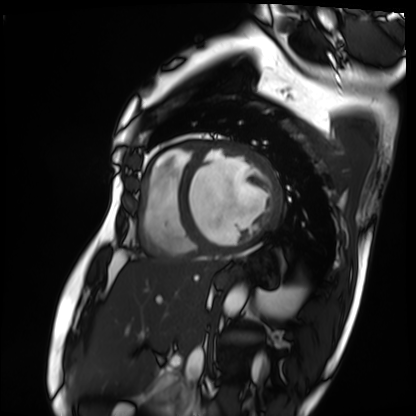
modality = cardiac MRI | subject group = patient.